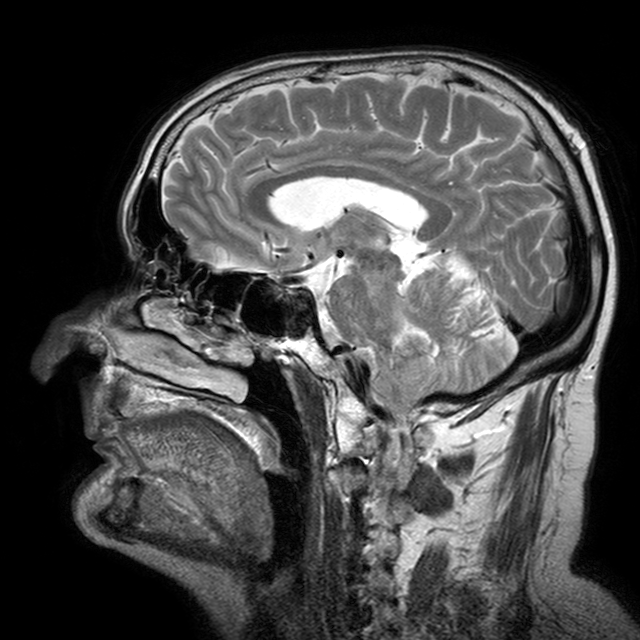
3 Tesla brain MRI.
Series: T2-weighted turbo spin echo with CLEAR.
Study: ring-enhancing brain masses.